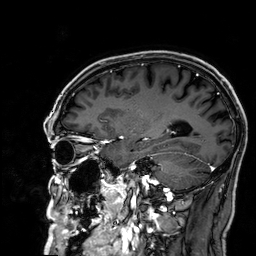
3 Tesla brain MRI. Series: 3D T1-weighted. Study: ring-enhancing brain masses.